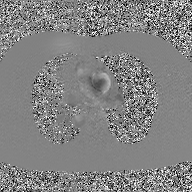
modality: 2D phase-contrast cine MRI of the ascending aorta, GAN super-resolution reconstruction.